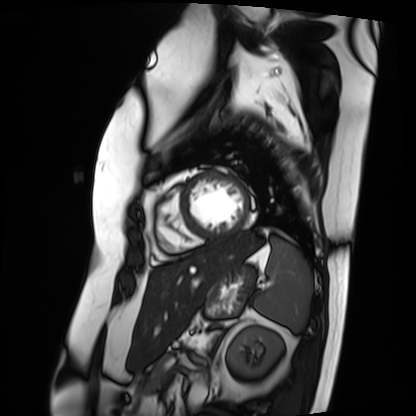
– modality — cardiac MRI
– subject group — patient